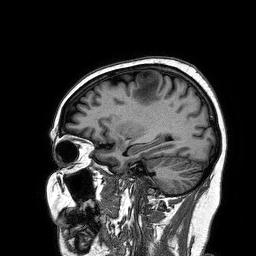
<case>
  <modality>
    <type>brain MRI</type>
    <field_strength>3T</field_strength>
  </modality>
  <series>3D T1-weighted turbo field echo</series>
  <study_topic>ring-enhancing brain masses</study_topic>
</case>